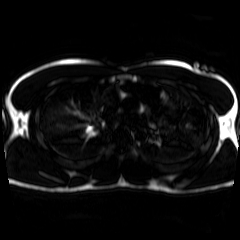
Chemical-shift-encoded cardiac MRI.